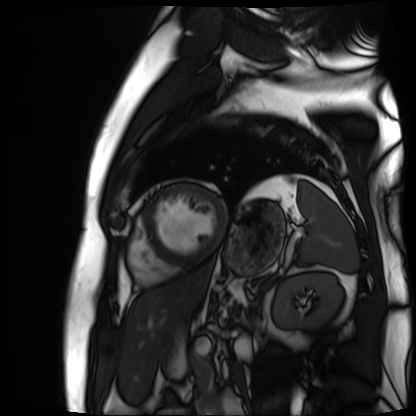
Q: What kind of scan is this?
A: Cardiac MR image of the myocardium.
Subject cohort: cardiac patient.